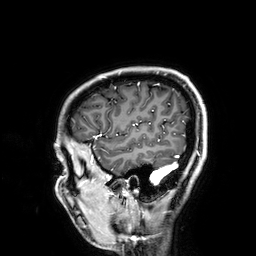
modality: 3 Tesla brain MRI
series: 3D T1-weighted
study: ring-enhancing brain masses